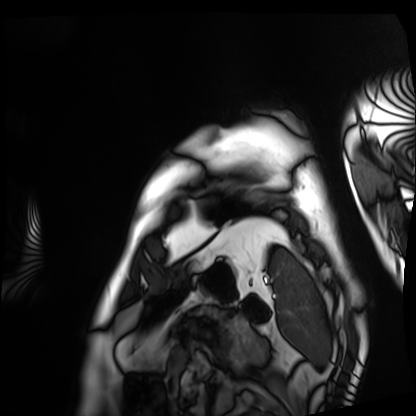
Cardiac MRI. Subject group: patient.